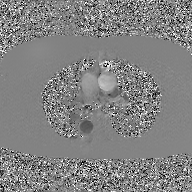
* modality: 2D phase-contrast cine MRI of the ascending aorta, GAN super-resolution reconstruction